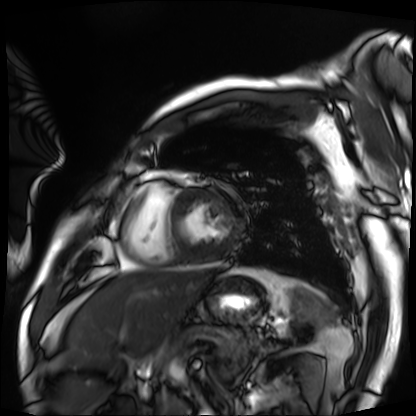
Case:
* modality · cardiac MRI
* subject group · patient